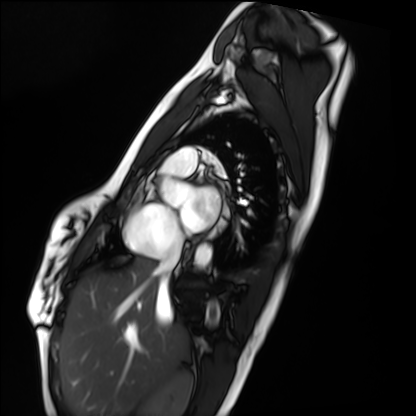
modality: cardiac MRI
subject group: healthy volunteer